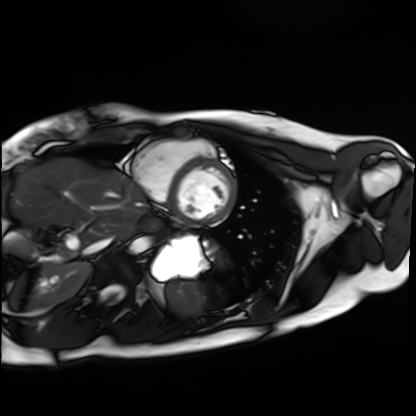
Cardiac MRI. Subject group: healthy volunteer.